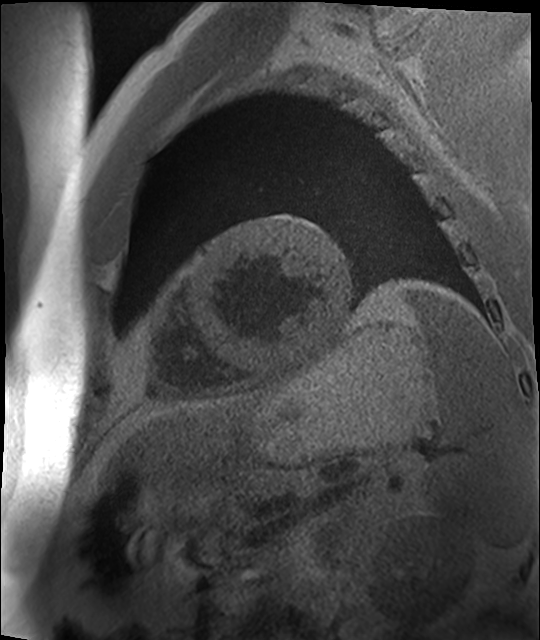
{"modality": "cardiac MR image of the myocardium", "cohort": "cardiac patient"}